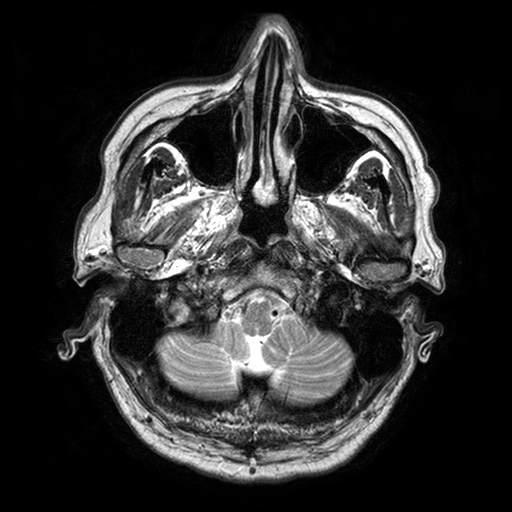
Case summary: 3 Tesla brain MRI. Series: T2-weighted turbo spin echo with SENSE. Study: ring-enhancing brain masses.